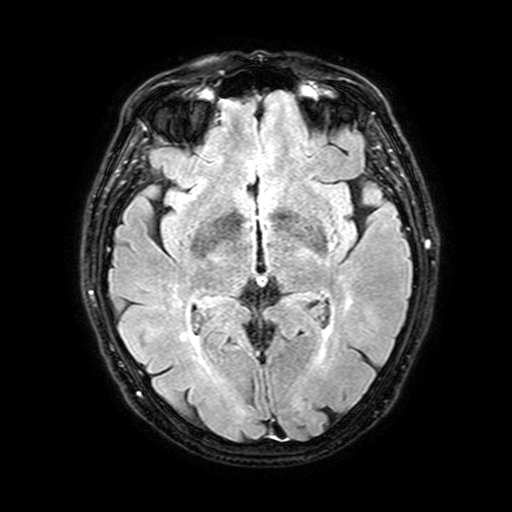
modality = 3 Tesla brain MRI; series = FLAIR with SPAIR, 3 mm; study = ring-enhancing brain masses.